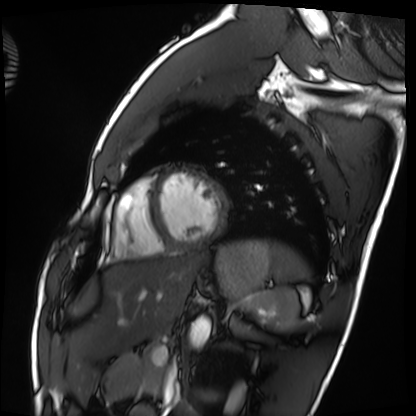
modality = cardiac MRI, subject group = healthy volunteer.